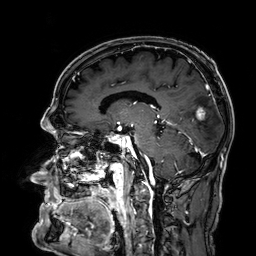
Case:
– modality: 3 Tesla brain MRI
– series: 3D T1-weighted
– study: ring-enhancing brain masses